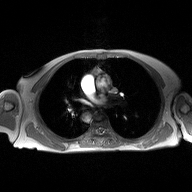
2D phase-contrast cine MRI of the ascending aorta, high-resolution GRAPPA acquisition.